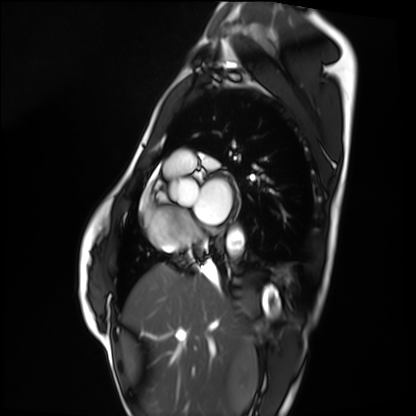
Summary: Cardiac MRI. Subject group: healthy volunteer.